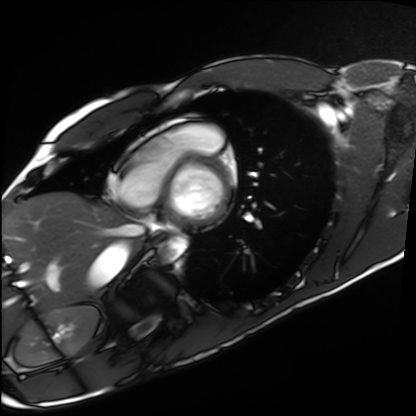
Q: What kind of scan is this?
A: Cardiac MRI.
Subject group: healthy volunteer.